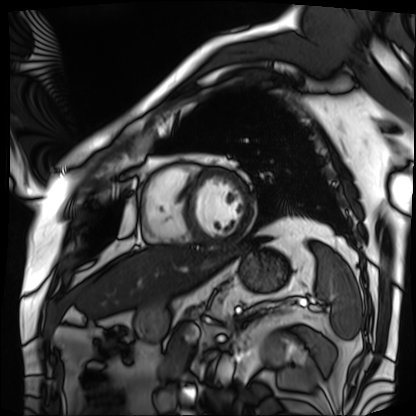
modality: cardiac MRI
cohort: patient